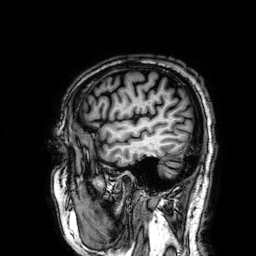
Clinical context: 3 Tesla brain MRI. Series: 3D T1-weighted. Study: ring-enhancing brain masses.